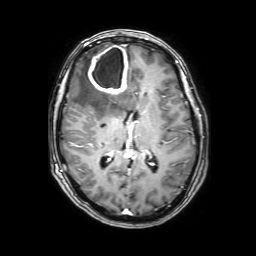
modality: 3 Tesla brain MRI | series: 3D T1-weighted with SENSE | study: ring-enhancing brain masses.